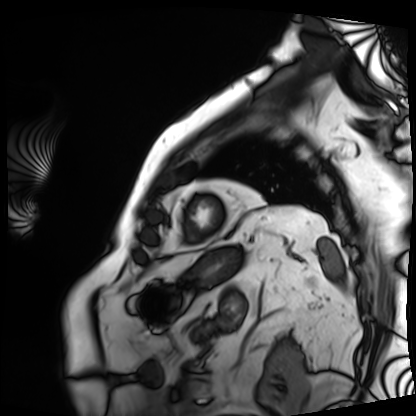
{
  "modality": "cardiac MRI",
  "cohort": "patient"
}